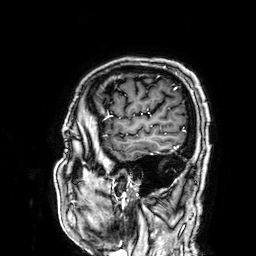
modality: 3 Tesla brain MRI | series: 3D T1-weighted | study: ring-enhancing brain masses.